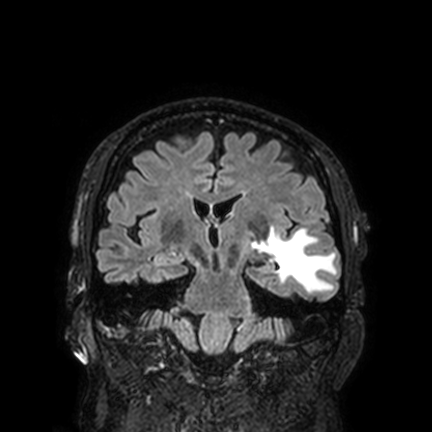
3 Tesla brain MRI. Series: FLAIR VISTA with SENSE. Study: ring-enhancing brain masses.